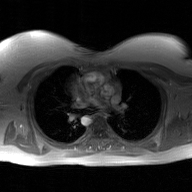
  modality:
    type: 2D phase-contrast cine MRI
    region: ascending aorta
    reconstruction: GAN super-resolution reconstruction